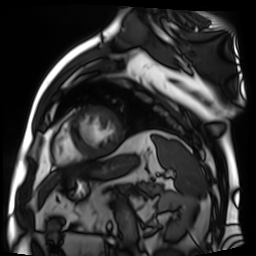
Cardiac MR image of the myocardium.
Subject cohort: cardiac patient.